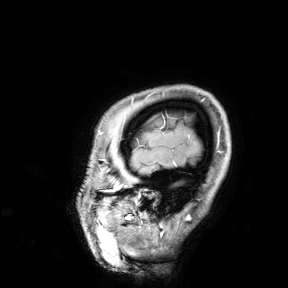
<scan>
<modality>
  <type>brain MRI</type>
  <field_strength>3T</field_strength>
</modality>
<study_topic>ring-enhancing brain masses</study_topic>
</scan>